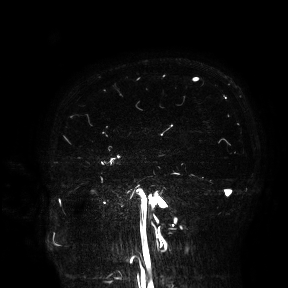
| field | value |
|---|---|
| modality | 3 Tesla brain MRI |
| study | ring-enhancing brain masses |